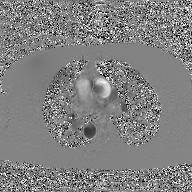
2D phase-contrast cine MRI of the ascending aorta, GAN super-resolution reconstruction.